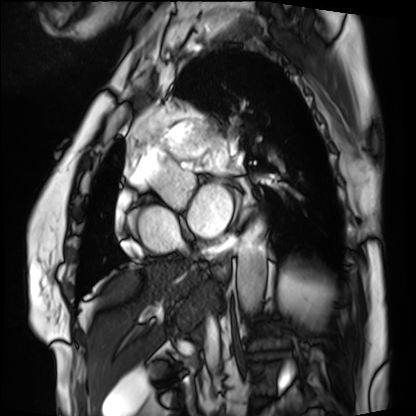
Case:
* modality: cardiac MRI
* subject group: patient